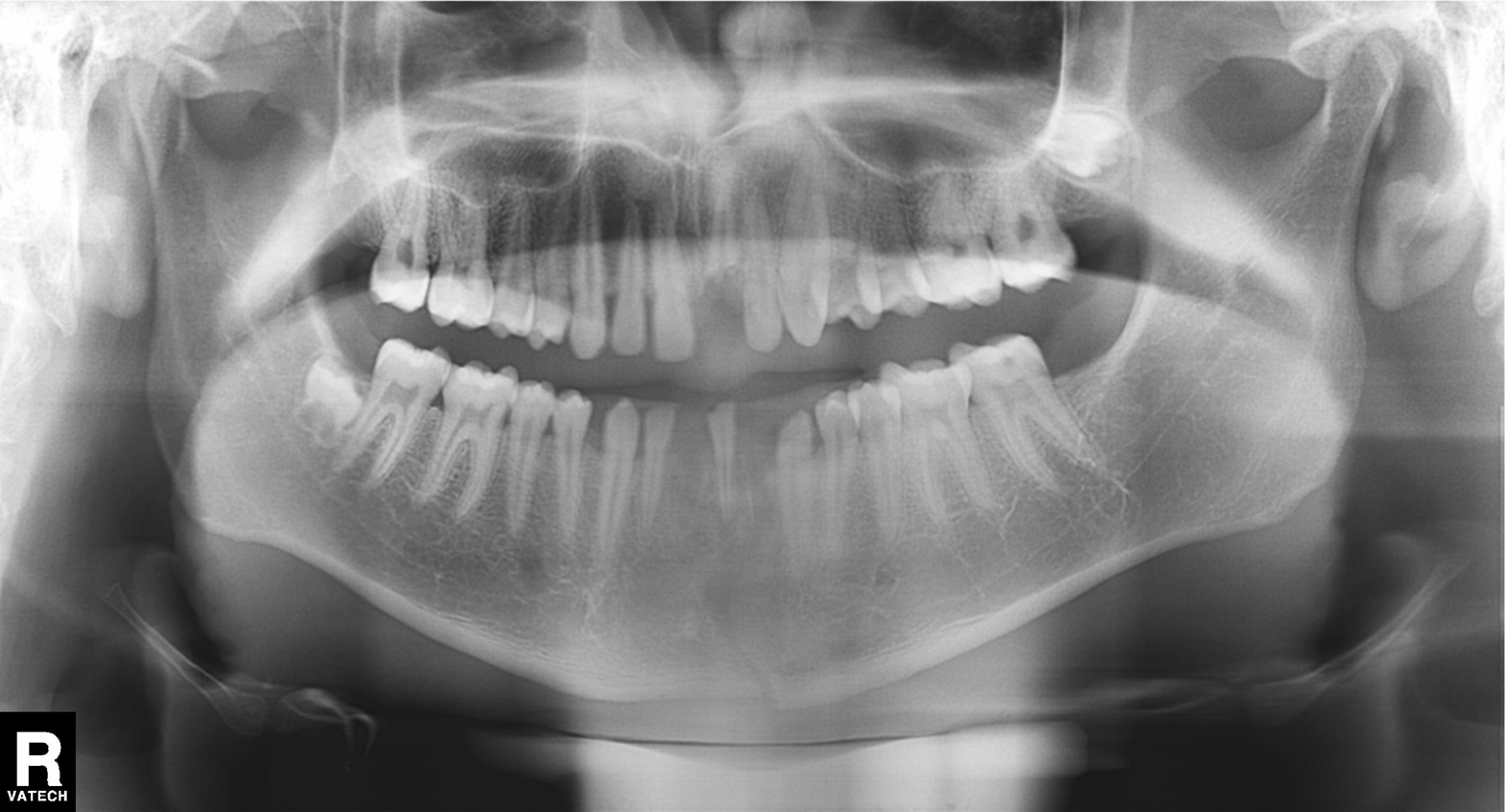
Panoramic dental radiograph (orthopantomogram). Finding: dental caries (cavities).